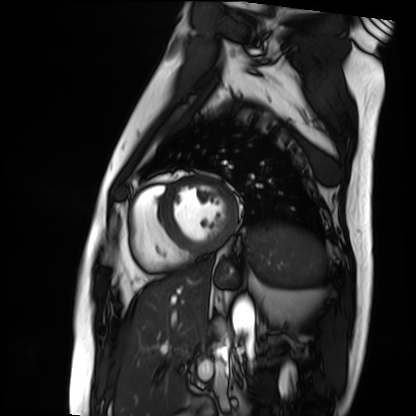
modality: cardiac MRI | subject group: patient.